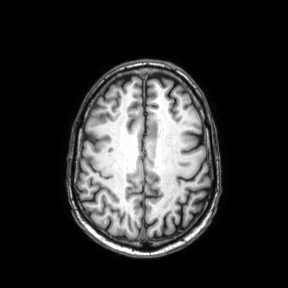
3 Tesla brain MRI. Series: axial. Study: ring-enhancing brain masses.